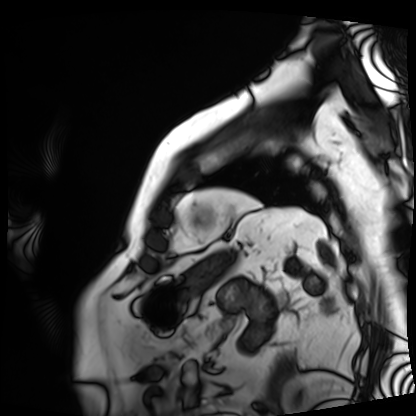
Cardiac MRI. Subject group: patient.